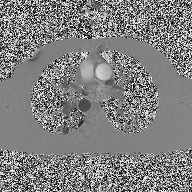
2D phase-contrast cine MRI of the ascending aorta, high-resolution GRAPPA acquisition.